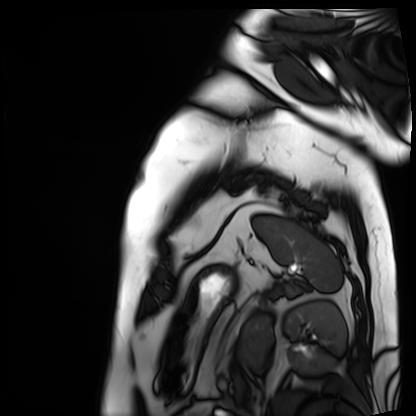
Clinical context:
Cardiac MRI. Subject group: patient.